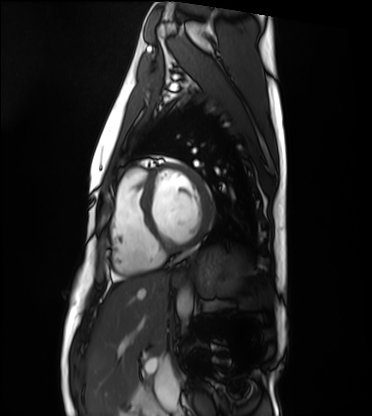
{"modality": "cardiac MRI", "cohort": "healthy volunteer"}